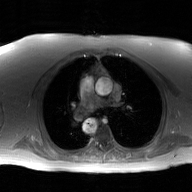
modality: 2D phase-contrast cine MRI of the ascending aorta, GAN super-resolution reconstruction.